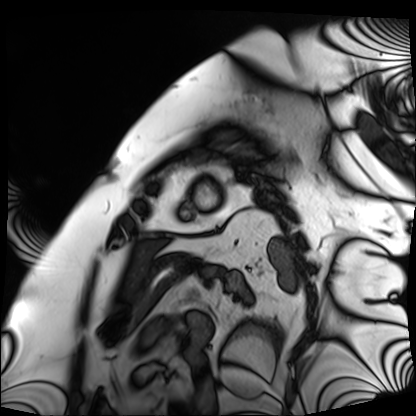
Q: What kind of scan is this?
A: Cardiac MRI.
Subject group: patient.